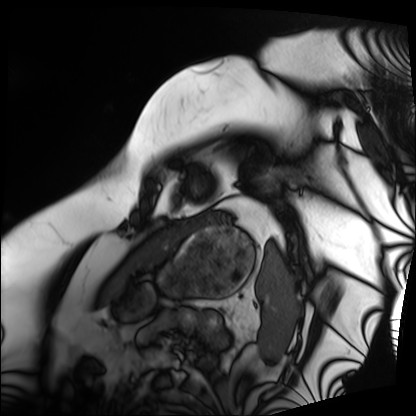
Cardiac MRI. Subject group: patient.